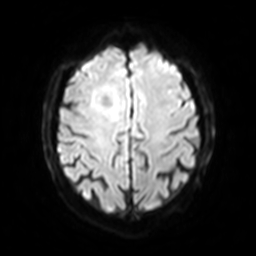
{
  "modality": {
    "type": "brain MRI",
    "field_strength": "3T"
  },
  "study_topic": "ring-enhancing brain masses"
}